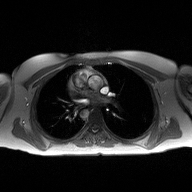
2D phase-contrast cine MRI of the ascending aorta, high-resolution GRAPPA acquisition.